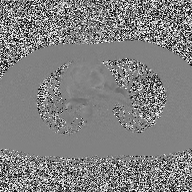
Summary: 2D phase-contrast cine MRI of the ascending aorta, high-resolution GRAPPA acquisition.